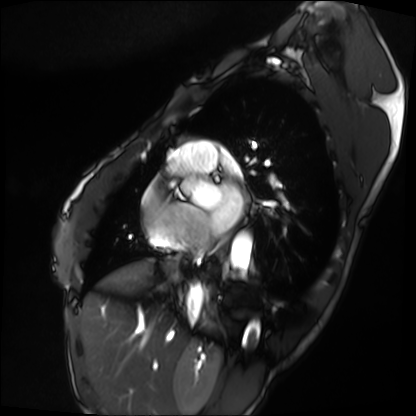
Summary:
Cardiac MRI. Subject group: patient.